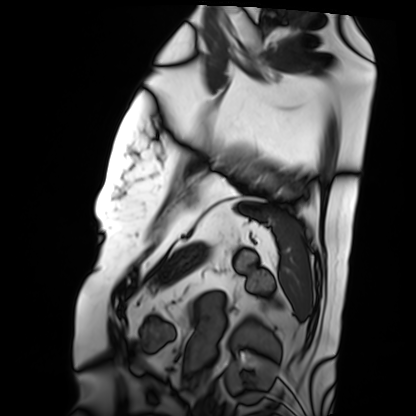
Cardiac MRI.
Subject group: patient.